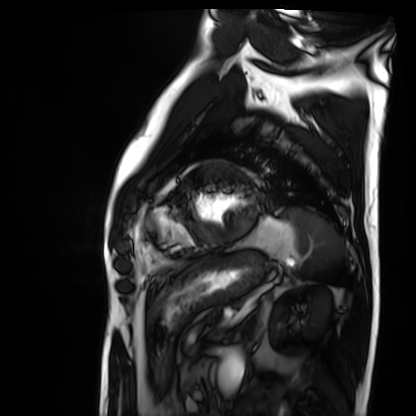
modality = cardiac MRI; subject group = patient.